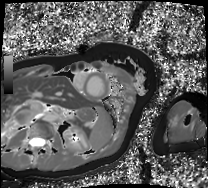
Q: What kind of scan is this?
A: Cardiac MRI.
Subject group: patient.